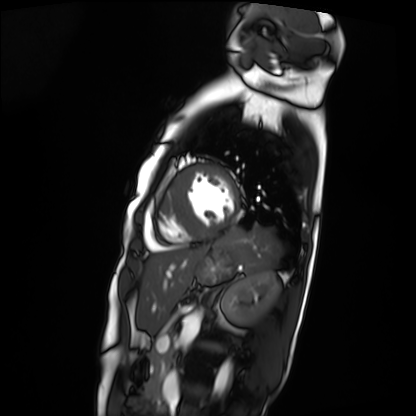
Cardiac MRI.
Subject group: patient.